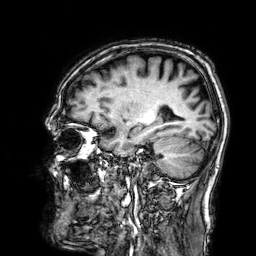
3 Tesla brain MRI. Series: 3D T1-weighted. Study: ring-enhancing brain masses.